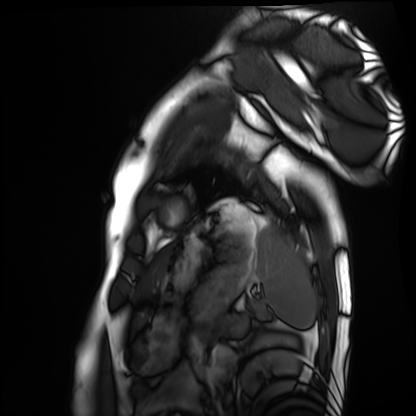
Cardiac MRI. Subject group: healthy volunteer.